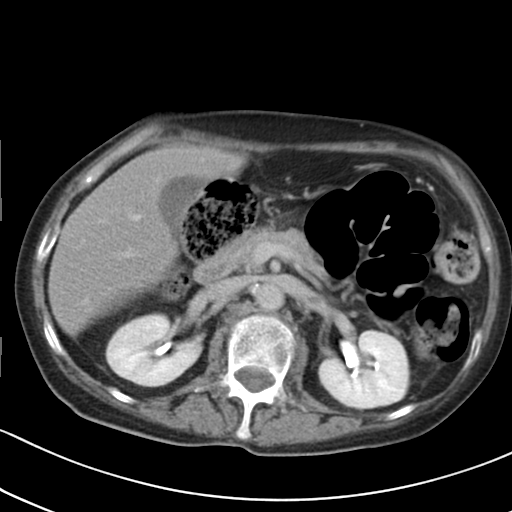
Multiphase abdominal CT, liver, delayed phase.
Patient: female, age 65.
History: prior chemotherapy.